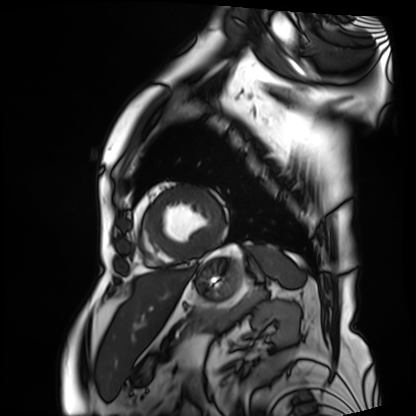
Cardiac MRI. Subject group: patient.